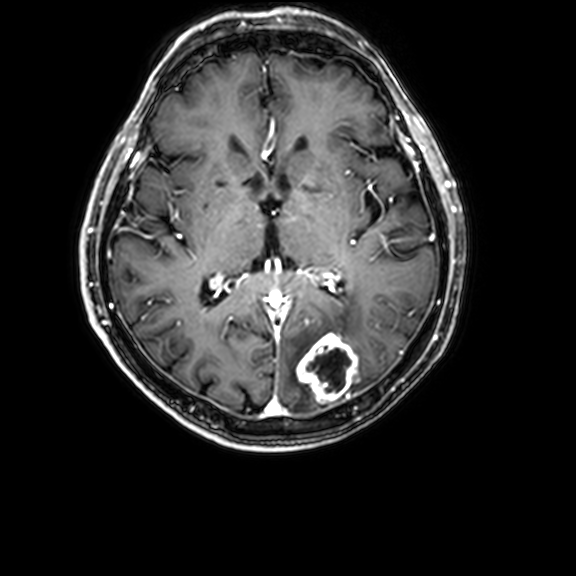
modality:
  type: brain MRI
  field_strength: 3T
series: 3D T1-weighted with CLEAR
study_topic: ring-enhancing brain masses